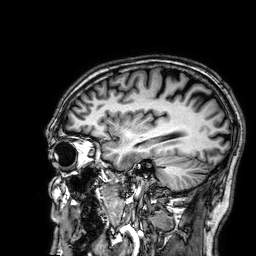
Case:
• modality: 3 Tesla brain MRI
• series: 3D T1-weighted
• study: ring-enhancing brain masses